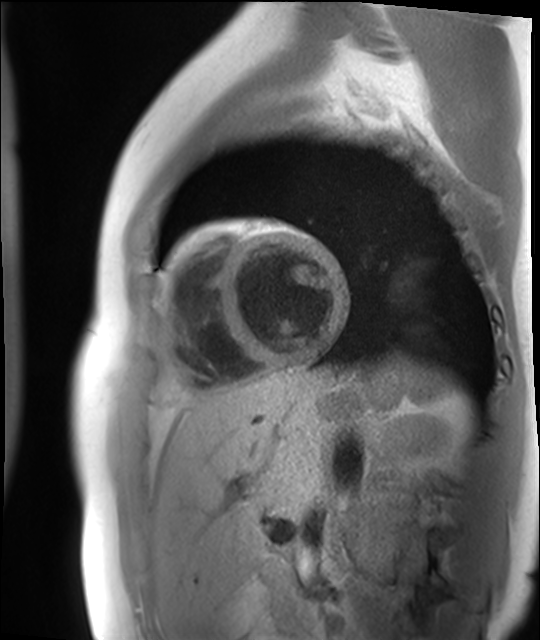
Case summary:
Cardiac MR image of the myocardium. Subject cohort: healthy volunteer.